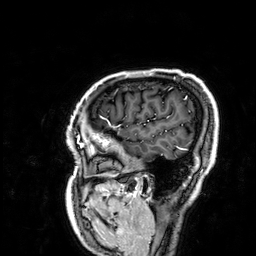
Summary: 3 Tesla brain MRI. Series: 3D T1-weighted. Study: ring-enhancing brain masses.